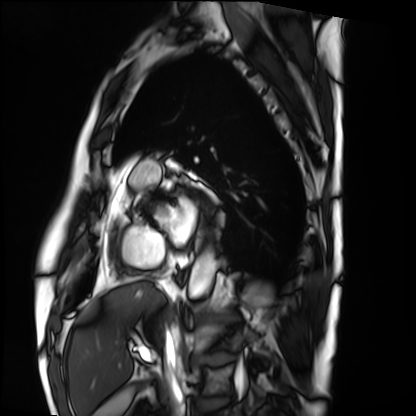
Case summary:
Cardiac MRI. Subject group: patient.